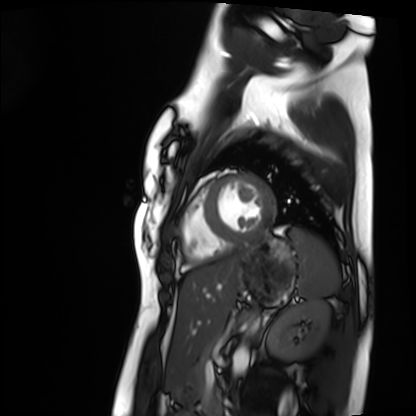
modality: cardiac MRI; subject group: healthy volunteer.